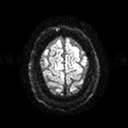
Summary:
3 Tesla brain MRI. Series: diffusion tensor imaging (medium iso). Study: ring-enhancing brain masses.